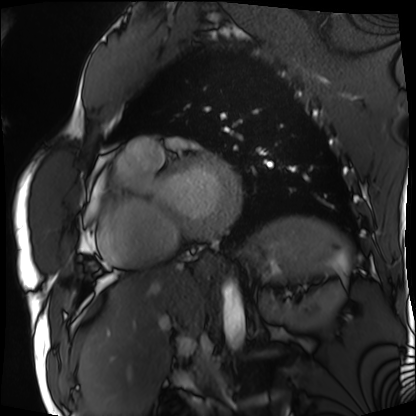
<scan>
  <modality>cardiac MRI</modality>
  <cohort>patient</cohort>
</scan>